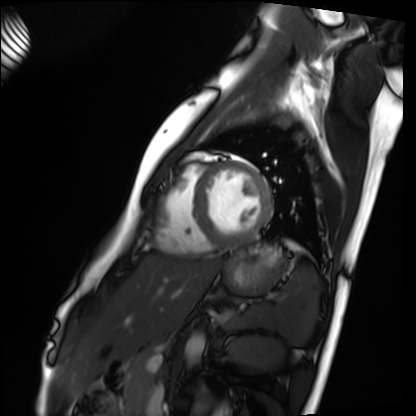
{
  "modality": "cardiac MRI",
  "cohort": "healthy volunteer"
}